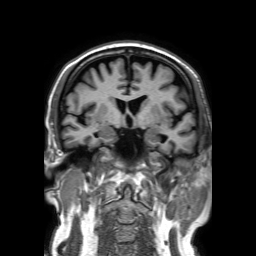
3 Tesla brain MRI. Series: 3D T1-weighted TFE with SENSE. Study: ring-enhancing brain masses.